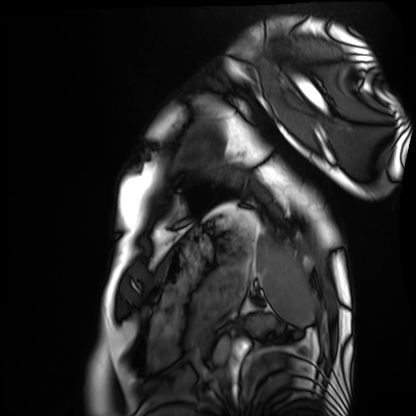
Cardiac MRI. Subject group: healthy volunteer.